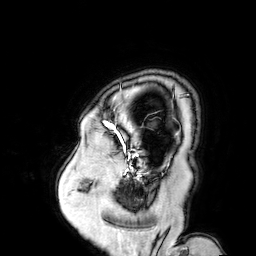
modality: 3 Tesla brain MRI
series: 3D T1-weighted turbo field echo with SENSE
study: ring-enhancing brain masses